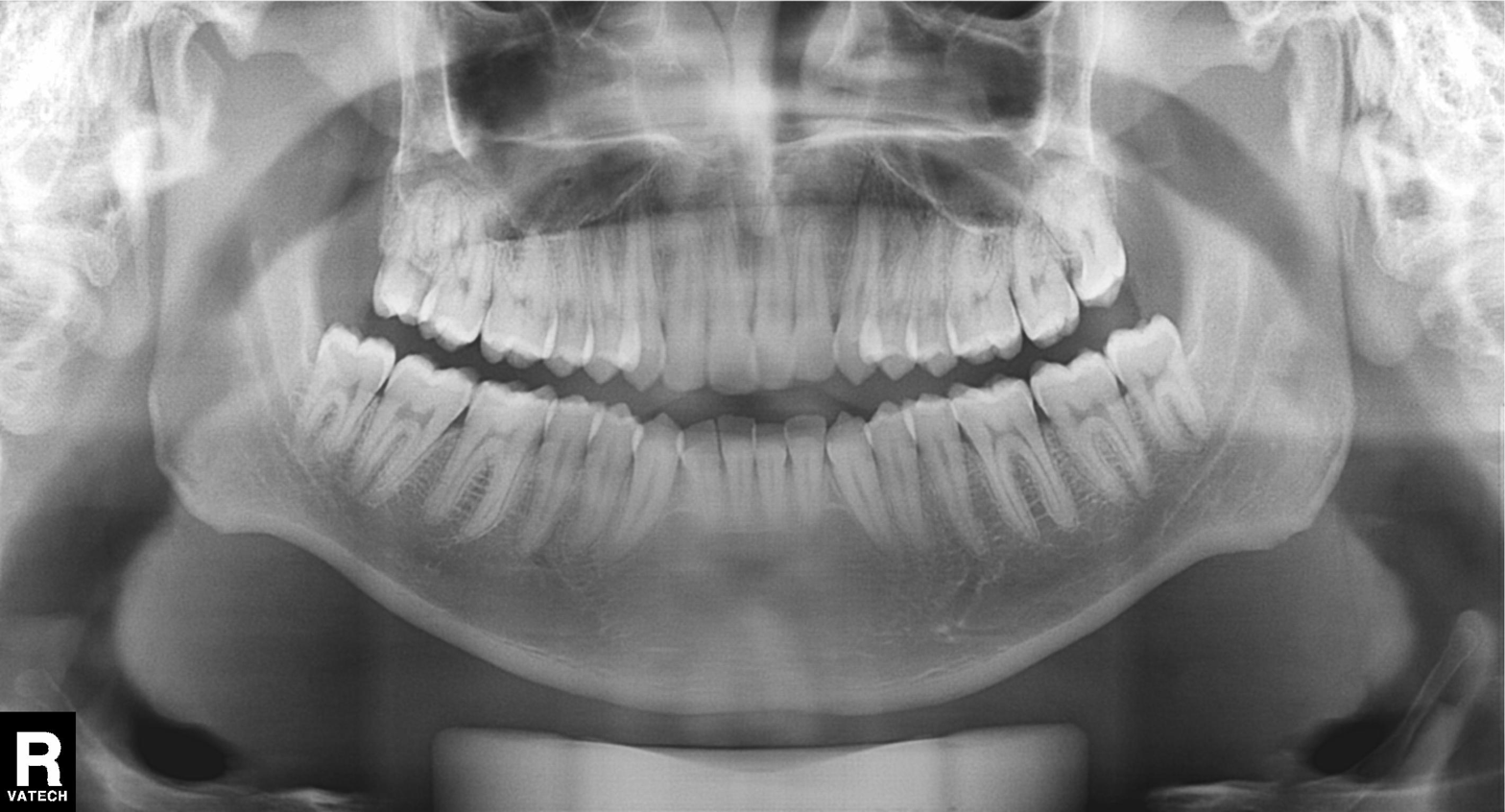
Case summary: Panoramic dental radiograph (orthopantomogram).
Impression: Alveolar bone loss.